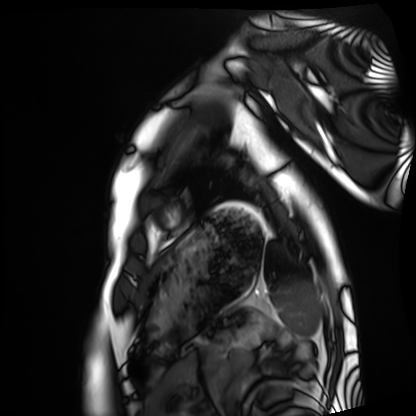
Cardiac MRI. Subject group: healthy volunteer.